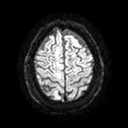
Summary:
3 Tesla brain MRI. Series: diffusion tensor imaging (medium iso). Study: ring-enhancing brain masses.